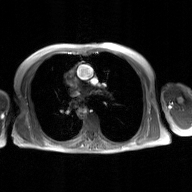
modality = 2D phase-contrast cine MRI of the ascending aorta, GAN super-resolution reconstruction